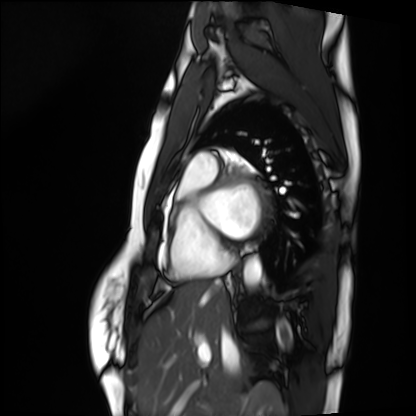
| field | value |
|---|---|
| modality | cardiac MRI |
| subject group | healthy volunteer |